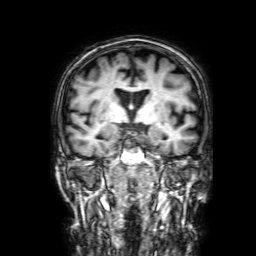
3 Tesla brain MRI. Series: 3D T1-weighted with SENSE. Study: ring-enhancing brain masses.